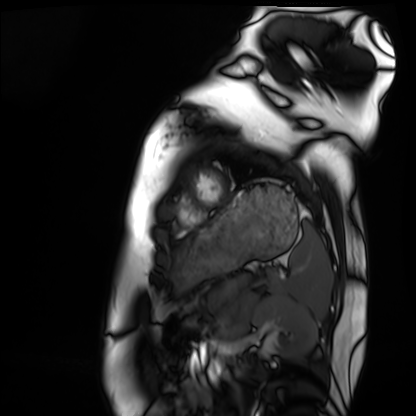
modality = cardiac MRI | subject group = healthy volunteer.